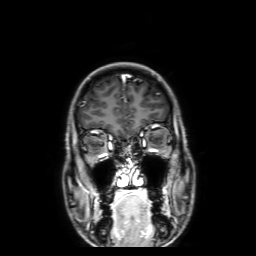
3 Tesla brain MRI. Series: 3D T1-weighted with SENSE. Study: ring-enhancing brain masses.